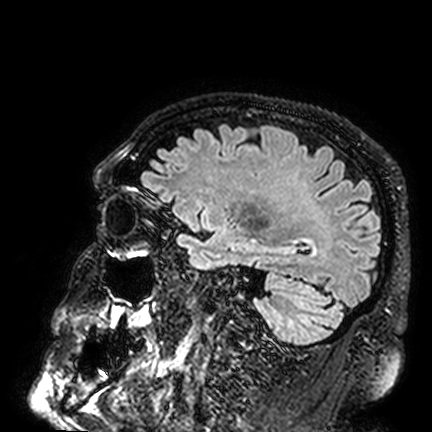
Case summary: 3 Tesla brain MRI. Series: FLAIR VISTA. Study: ring-enhancing brain masses.